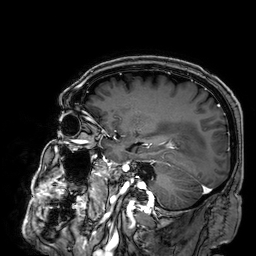
3 Tesla brain MRI. Series: 3D T1-weighted. Study: ring-enhancing brain masses.